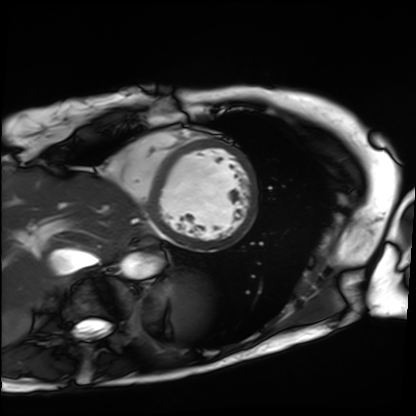
Clinical context: Cardiac MRI. Subject group: patient.